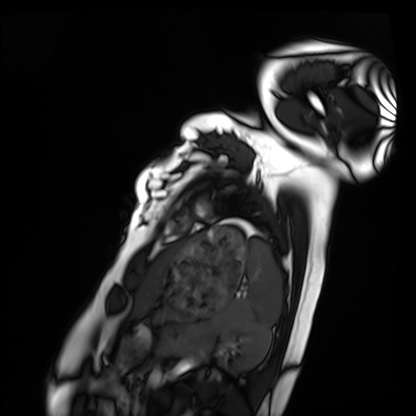
Cardiac MRI.
Subject group: healthy volunteer.